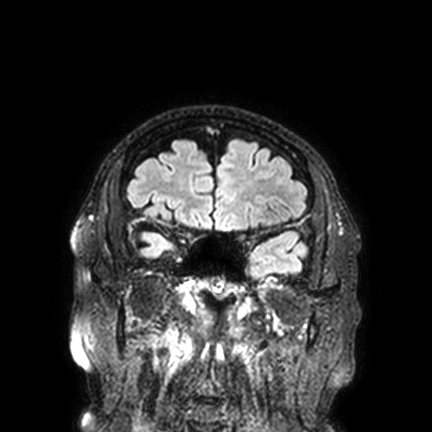
3 Tesla brain MRI.
Series: FLAIR VISTA with SENSE.
Study: ring-enhancing brain masses.